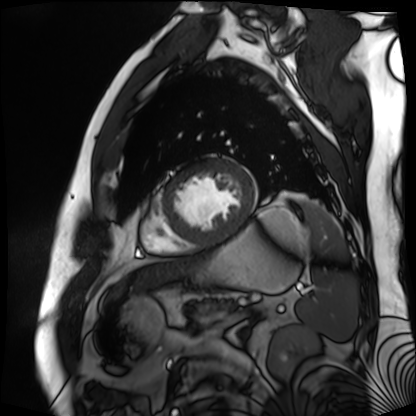
Q: What kind of scan is this?
A: Cardiac MR image of the myocardium.
Subject cohort: cardiac patient.